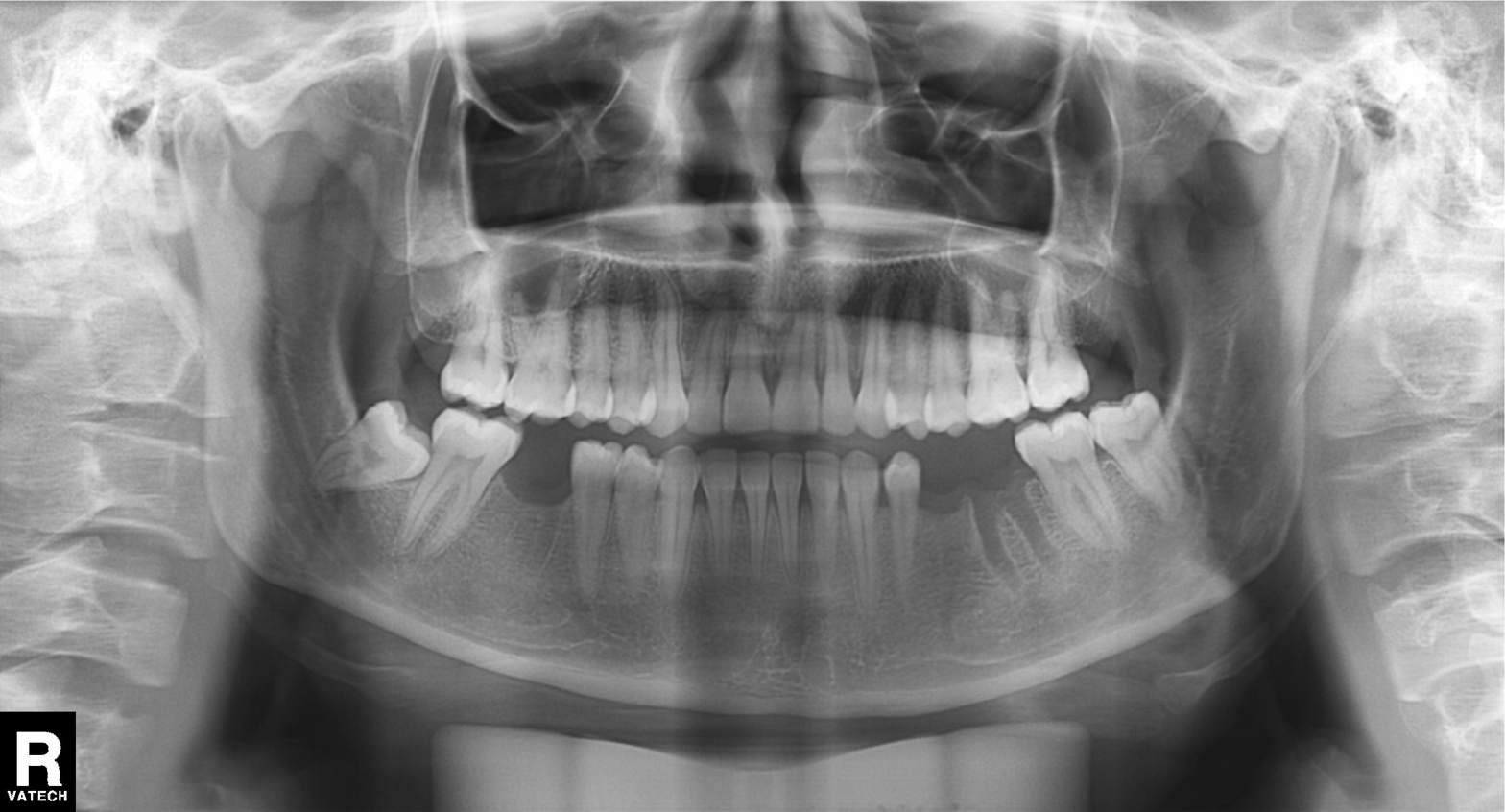
Panoramic dental radiograph (orthopantomogram).
Finding: alveolar bone loss.